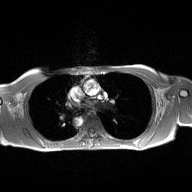
<case>
  <modality>
    <type>2D phase-contrast cine MRI</type>
    <region>ascending aorta</region>
    <reconstruction>high-resolution GRAPPA acquisition</reconstruction>
  </modality>
</case>